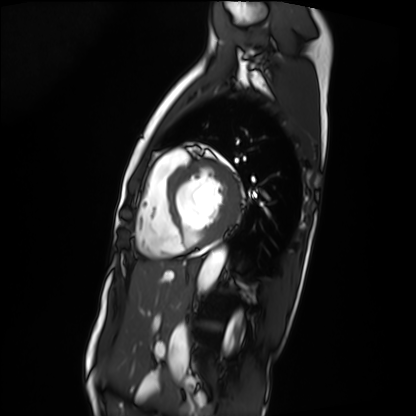
Case:
– modality — cardiac MRI
– subject group — patient